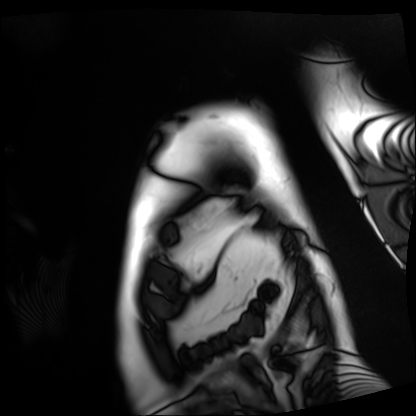
Cardiac MRI. Subject group: patient.